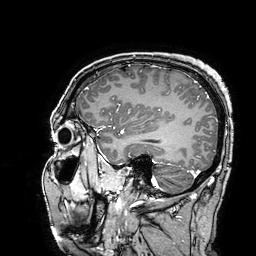
Summary: 3 Tesla brain MRI. Series: 3D T1-weighted turbo field echo with SENSE. Study: ring-enhancing brain masses.